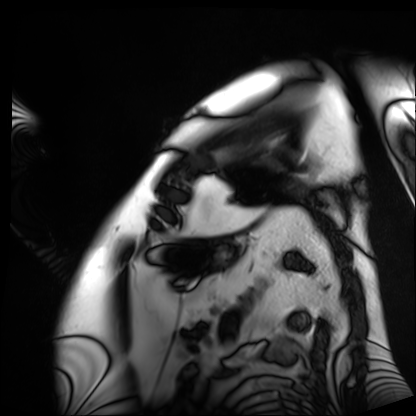
Q: What kind of scan is this?
A: Cardiac MRI.
Subject group: patient.